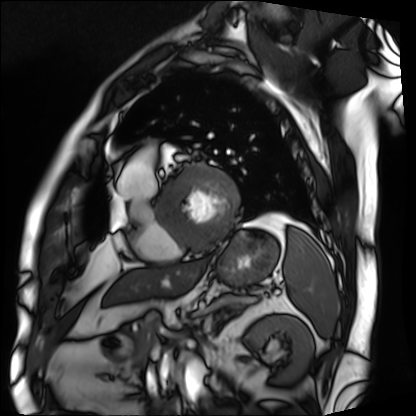
Case summary:
Cardiac MRI. Subject group: patient.